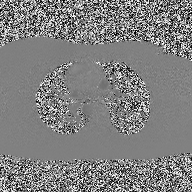
Case summary:
2D phase-contrast cine MRI of the ascending aorta, high-resolution GRAPPA acquisition.